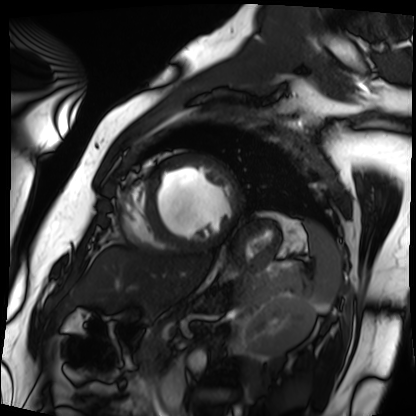
modality: cardiac MRI; subject group: patient.